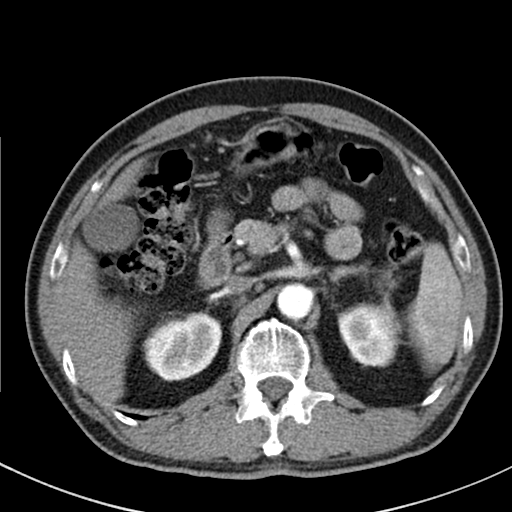
modality = multiphase abdominal CT, liver, arterial phase | patient = male, age 64.